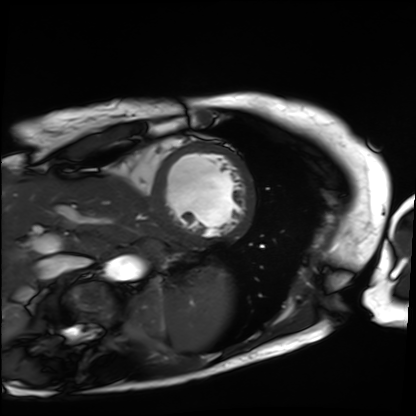
modality: cardiac MRI; subject group: patient.